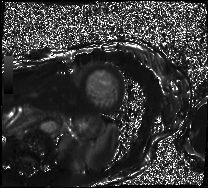
Q: What kind of scan is this?
A: Cardiac MRI.
Subject group: patient.